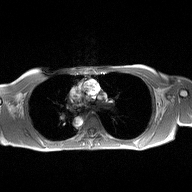
{"modality": {"type": "2D phase-contrast cine MRI", "region": "ascending aorta", "reconstruction": "high-resolution GRAPPA acquisition"}}